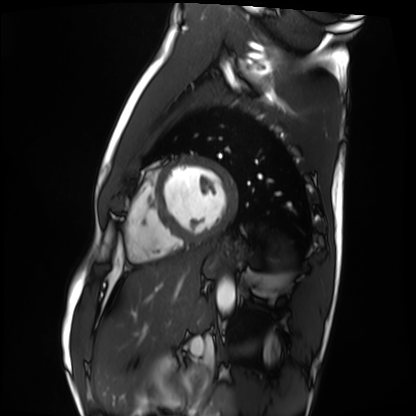
Case summary:
Cardiac MRI. Subject group: healthy volunteer.